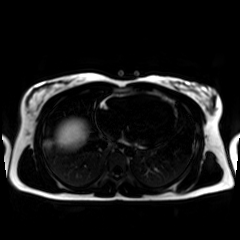
Chemical-shift-encoded cardiac MRI.